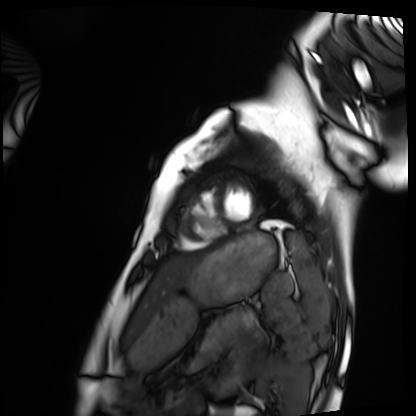
Summary:
Cardiac MRI. Subject group: healthy volunteer.